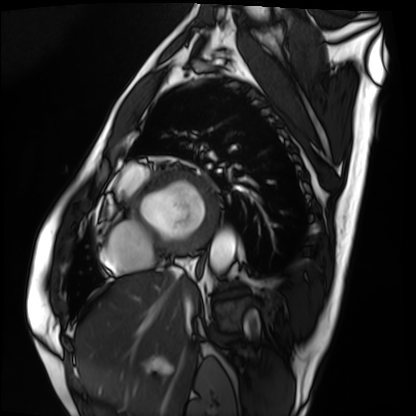
Cardiac MRI.
Subject group: patient.